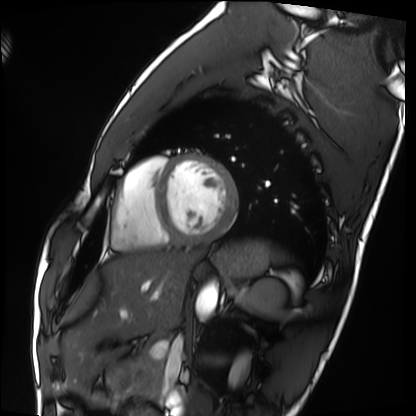
Cardiac MRI. Subject group: healthy volunteer.